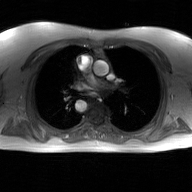
| field | value |
|---|---|
| modality | 2D phase-contrast cine MRI of the ascending aorta, GAN super-resolution reconstruction |